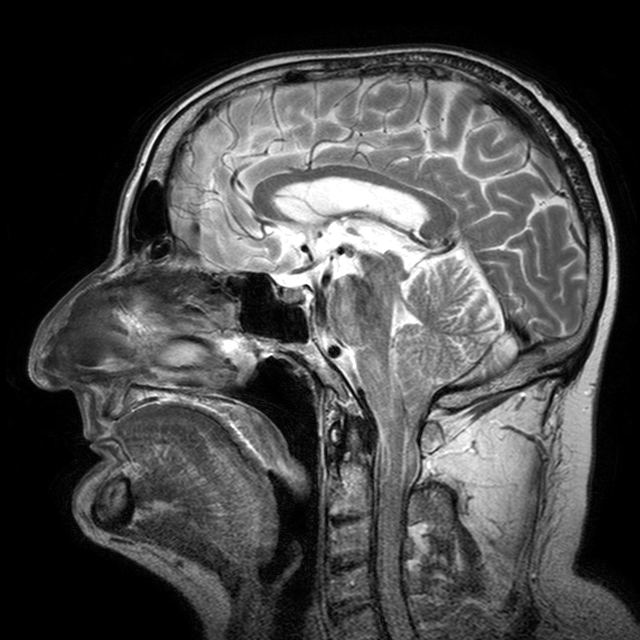
{
  "modality": {
    "type": "brain MRI",
    "field_strength": "3T"
  },
  "series": "T2-weighted turbo spin echo with CLEAR",
  "study_topic": "ring-enhancing brain masses"
}